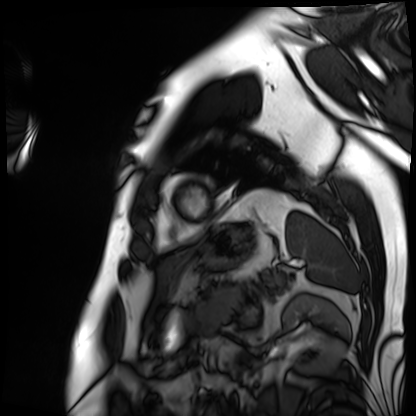
Q: What kind of scan is this?
A: Cardiac MRI.
Subject group: patient.